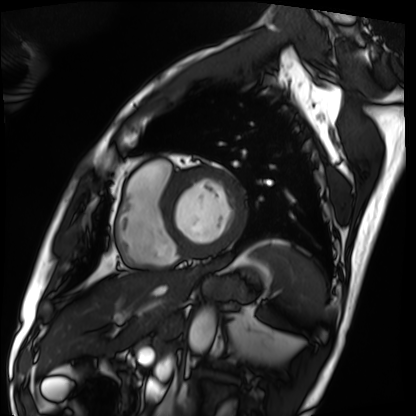
Cardiac MRI. Subject group: patient.